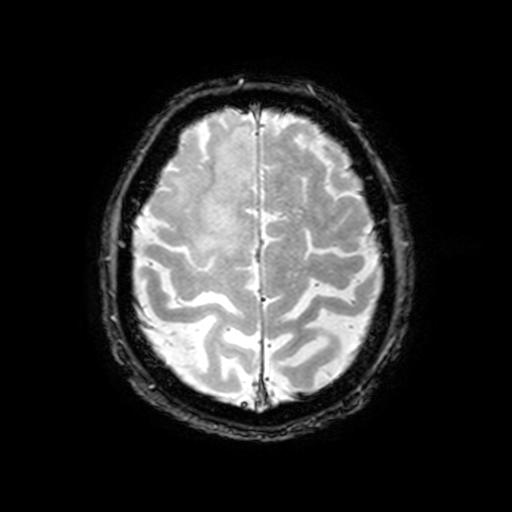
3 Tesla brain MRI. Series: T2-weighted fast field echo with SENSE. Study: ring-enhancing brain masses.